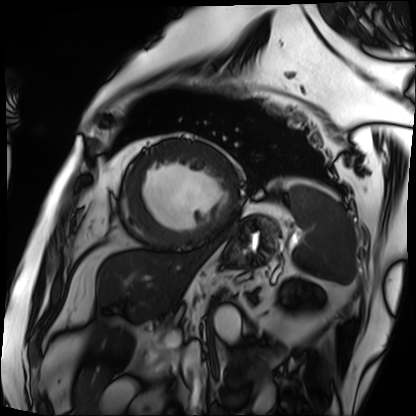
{
  "modality": "cardiac MRI",
  "cohort": "patient"
}